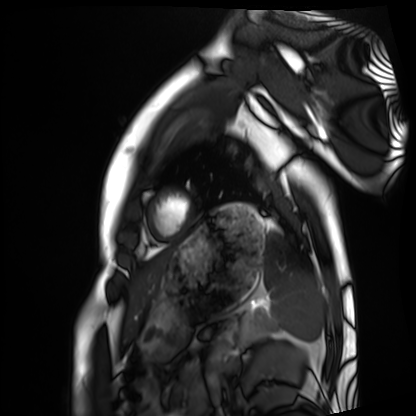
- modality — cardiac MRI
- subject group — healthy volunteer